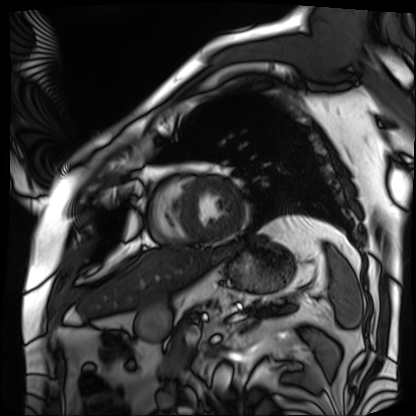
| field | value |
|---|---|
| modality | cardiac MRI |
| subject group | patient |